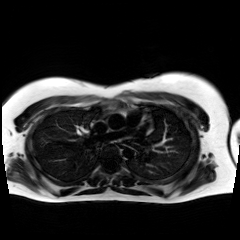
Case:
• modality: chemical-shift-encoded cardiac MRI